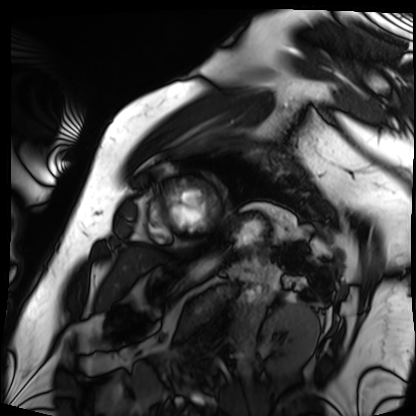
modality: cardiac MRI | subject group: patient.